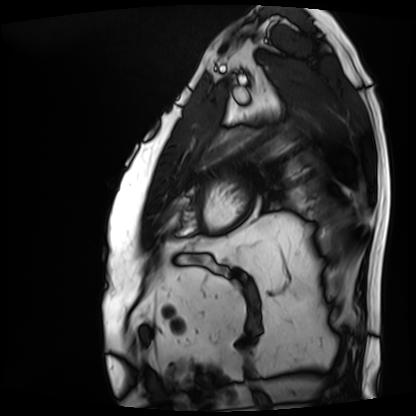
Case:
• modality: cardiac MRI
• subject group: patient